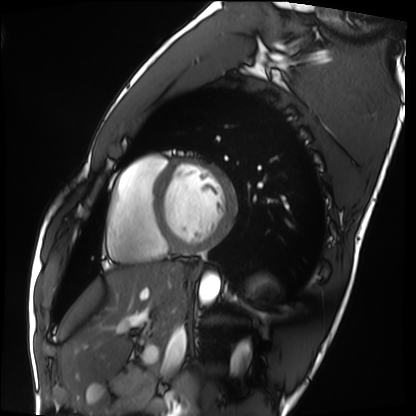
Cardiac MRI. Subject group: healthy volunteer.